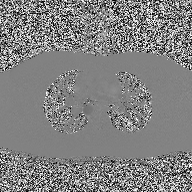
modality: 2D phase-contrast cine MRI of the ascending aorta.